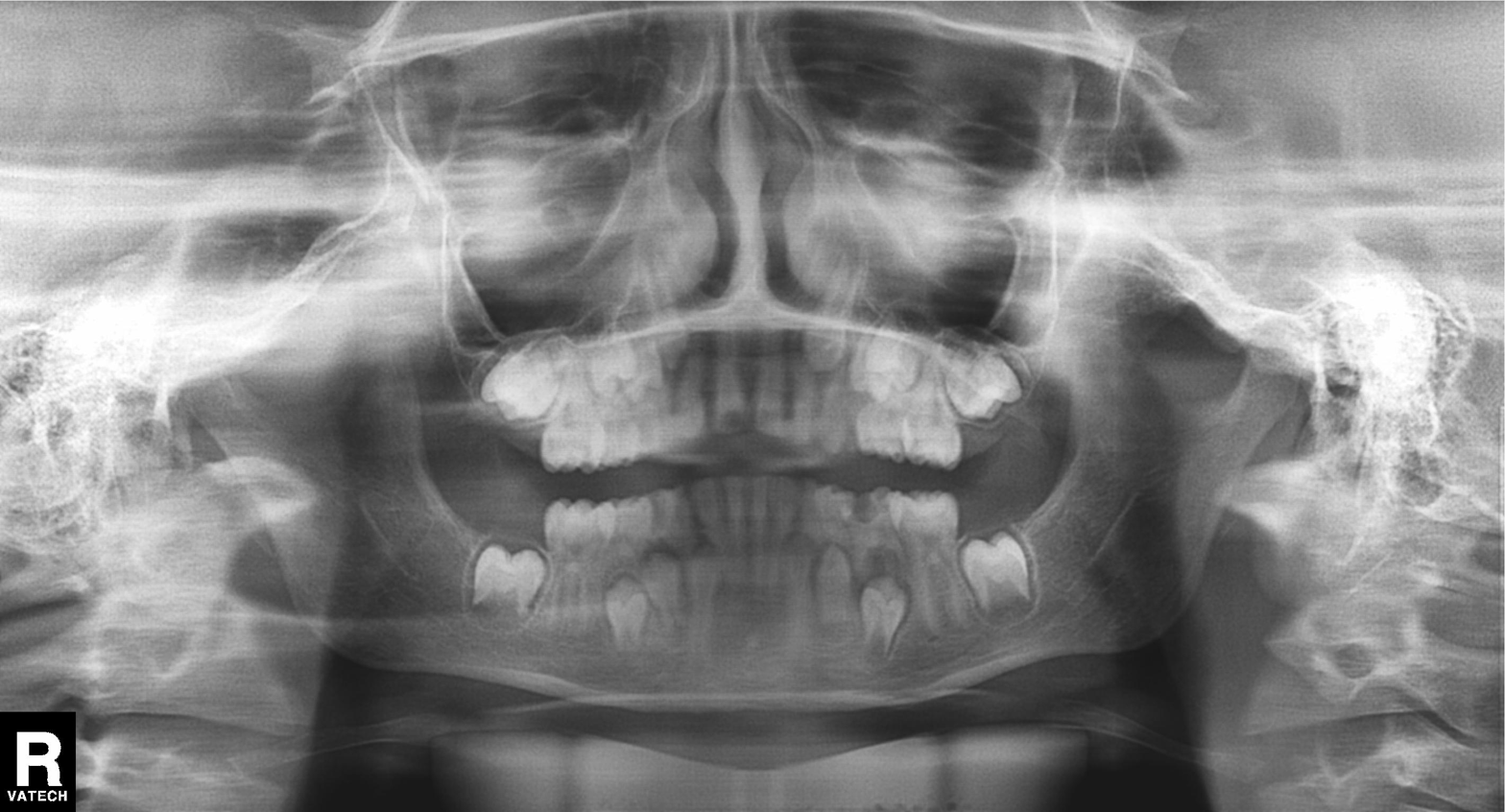
Findings:
- modality — panoramic dental radiograph (orthopantomogram)
- finding — tooth impaction